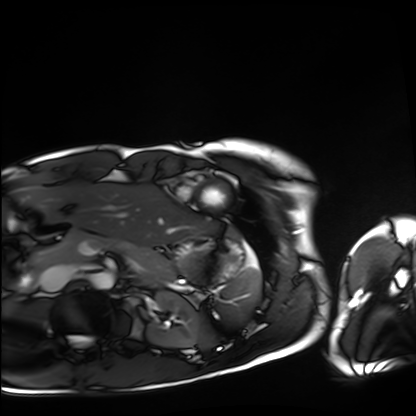
Cardiac MRI. Subject group: healthy volunteer.